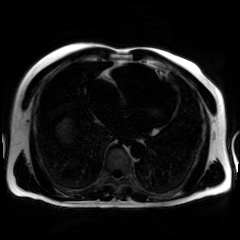
Clinical context: Chemical-shift-encoded cardiac MRI.